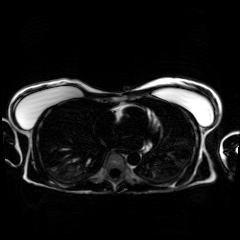
Summary:
Chemical-shift-encoded cardiac MRI.